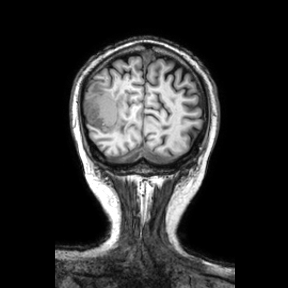
modality = 3 Tesla brain MRI
series = coronal
study = ring-enhancing brain masses